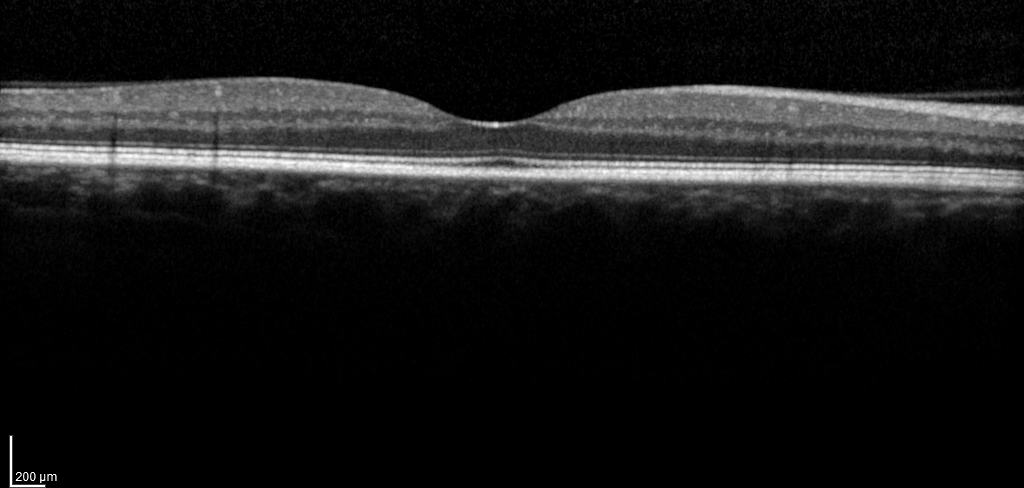
  modality: spectral-domain optical coherence tomography (SD-OCT) of the macula
  cohort: non-diabetic control